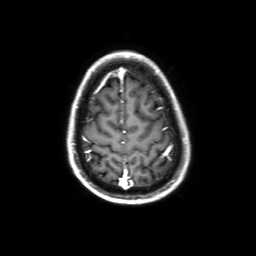
{
  "modality": {
    "type": "brain MRI",
    "field_strength": "3T"
  },
  "series": "3D T1-weighted with SENSE",
  "study_topic": "ring-enhancing brain masses"
}